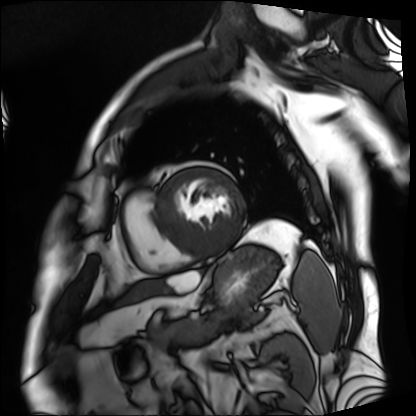
{
  "modality": "cardiac MRI",
  "cohort": "patient"
}